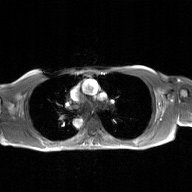
modality = 2D phase-contrast cine MRI of the ascending aorta, GAN super-resolution reconstruction.